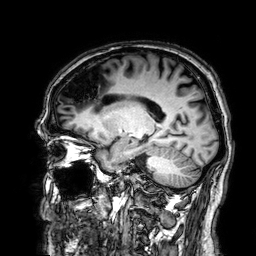
3 Tesla brain MRI.
Series: 3D T1-weighted.
Study: ring-enhancing brain masses.